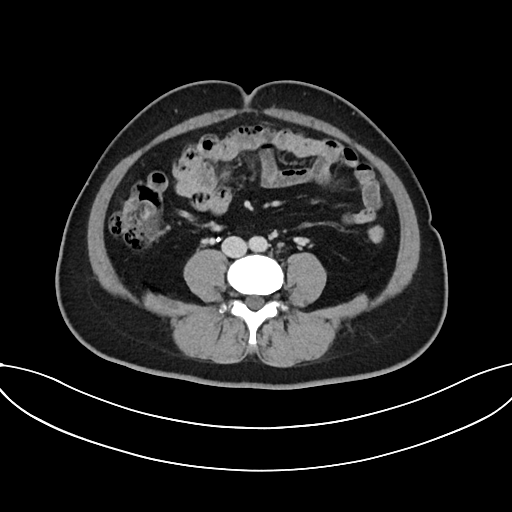
modality=multiphase abdominal CT, liver, delayed phase; patient=female, age 43.